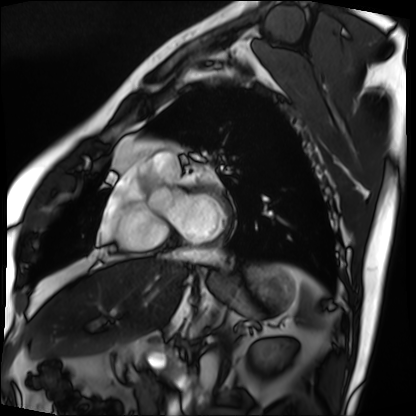
modality = cardiac MRI
subject group = patient